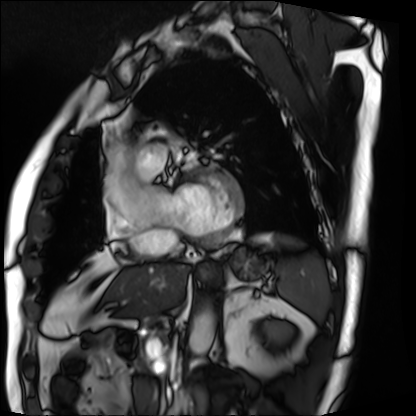
Case summary: Cardiac MRI. Subject group: patient.